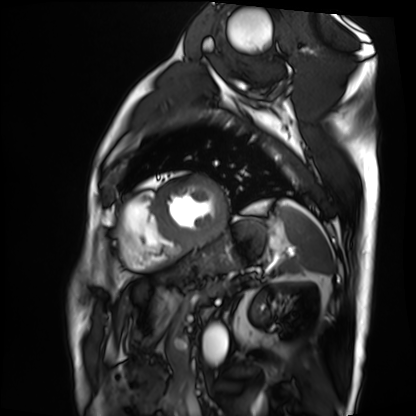
Cardiac MRI. Subject group: patient.